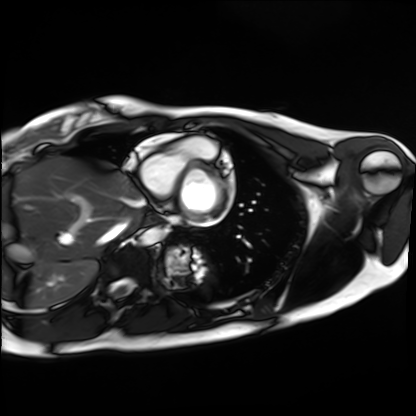
Cardiac MRI.
Subject group: healthy volunteer.